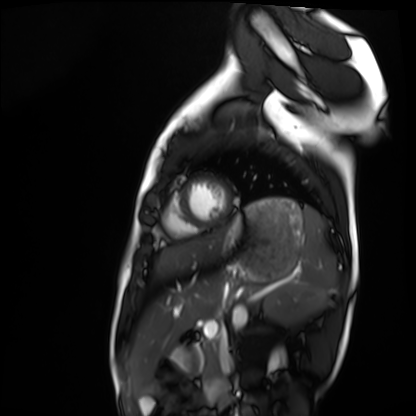
Q: What kind of scan is this?
A: Cardiac MRI.
Subject group: healthy volunteer.